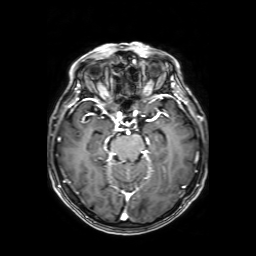
<record>
  <modality>
    <type>brain MRI</type>
    <field_strength>3T</field_strength>
  </modality>
  <series>axial T1-weighted fusion image</series>
  <study_topic>ring-enhancing brain masses</study_topic>
</record>